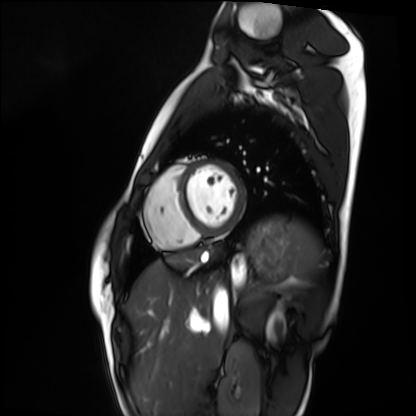
Q: What kind of scan is this?
A: Cardiac MRI.
Subject group: healthy volunteer.